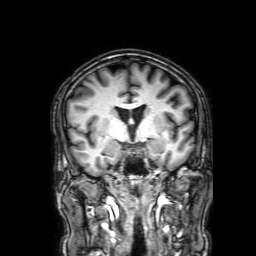
Summary:
3 Tesla brain MRI. Series: 3D T1-weighted with SENSE. Study: ring-enhancing brain masses.